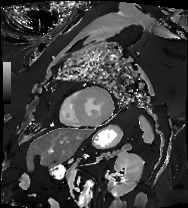
Summary: Cardiac MRI. Subject group: patient.